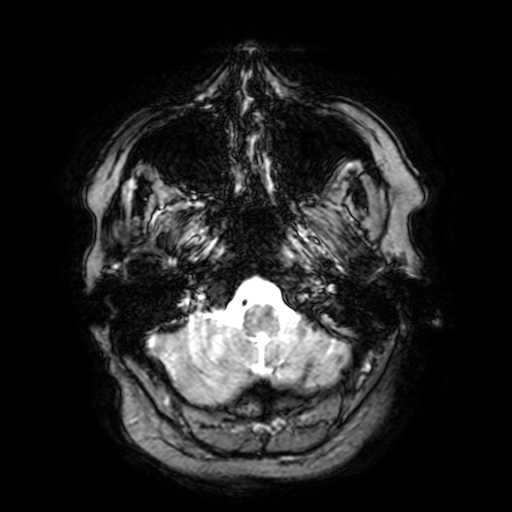
3 Tesla brain MRI. Study: ring-enhancing brain masses.